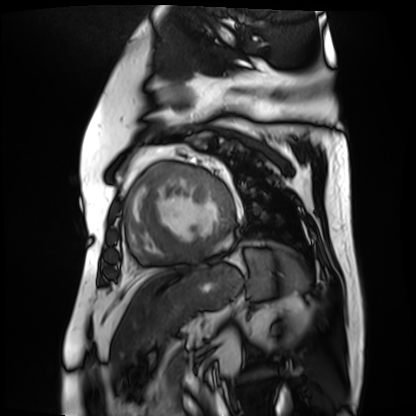
Cardiac MR image of the myocardium.
Subject cohort: cardiac patient.